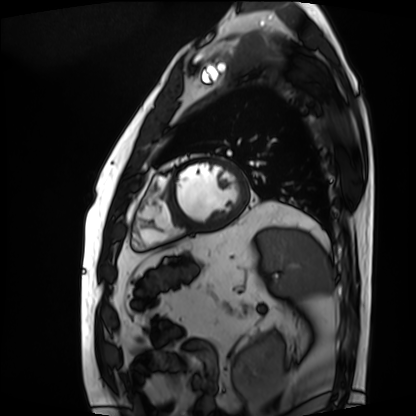
Cardiac MRI.
Subject group: patient.